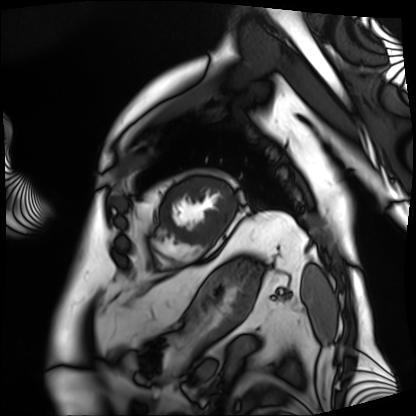
modality = cardiac MRI
subject group = patient